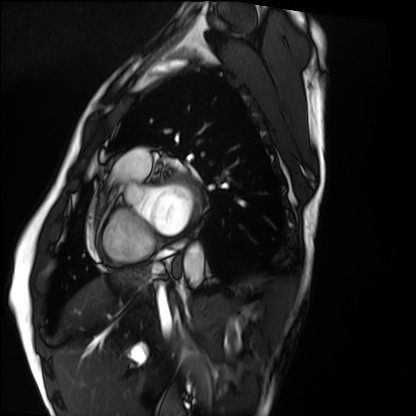
Case:
• modality · cardiac MRI
• subject group · healthy volunteer